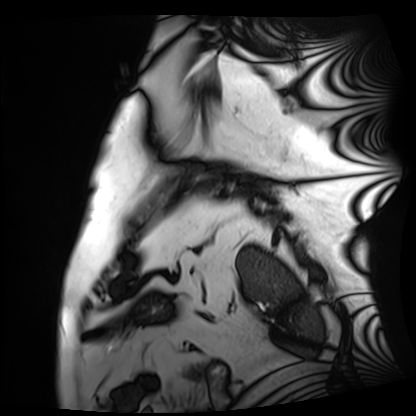
• modality: cardiac MRI
• subject group: patient